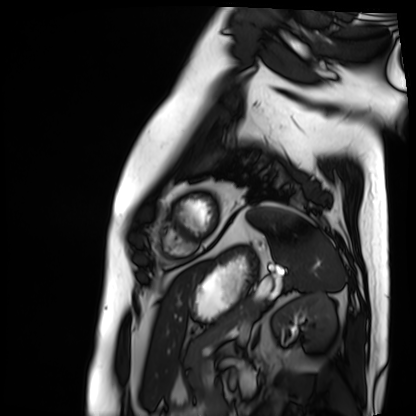
Cardiac MRI.
Subject group: patient.